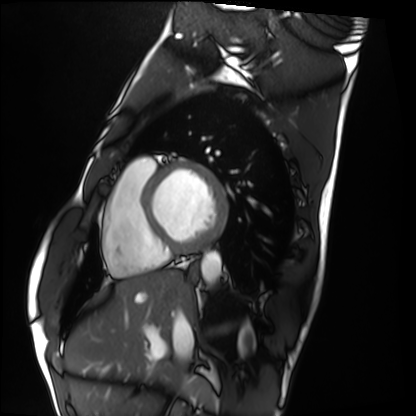
modality: cardiac MRI | subject group: healthy volunteer.